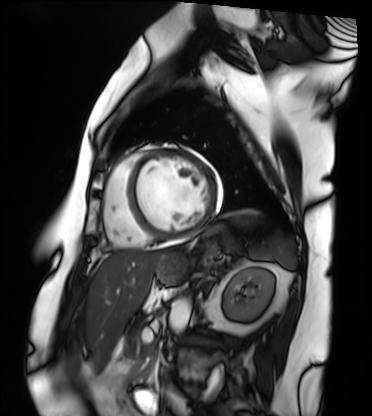
Summary:
Cardiac MRI. Subject group: patient.